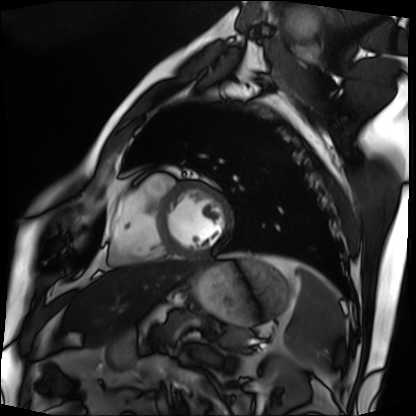
Case summary: Cardiac MRI. Subject group: patient.